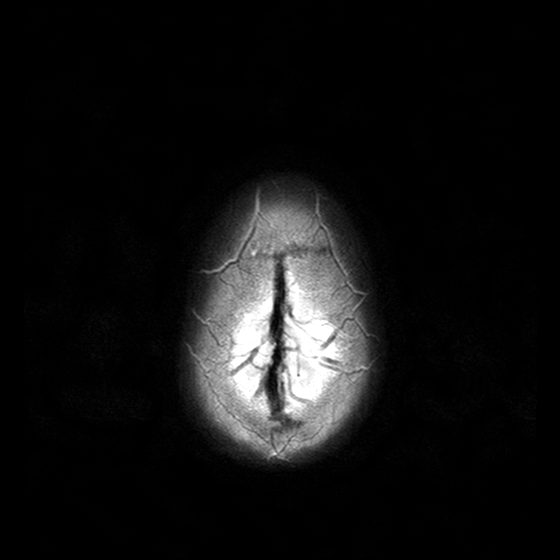
<scan>
  <modality>
    <type>brain MRI</type>
    <field_strength>3T</field_strength>
  </modality>
  <series>T2-weighted turbo spin echo with CLEAR</series>
  <study_topic>ring-enhancing brain masses</study_topic>
</scan>